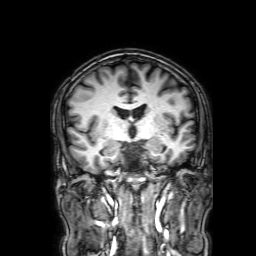
3 Tesla brain MRI. Series: 3D T1-weighted with SENSE. Study: ring-enhancing brain masses.